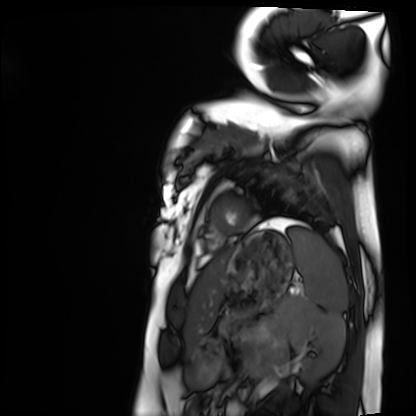
Clinical context: Cardiac MRI. Subject group: healthy volunteer.